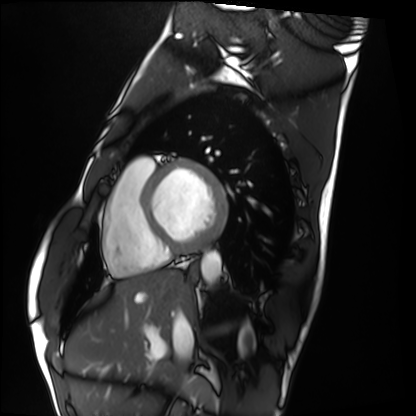
Summary: Cardiac MRI. Subject group: healthy volunteer.